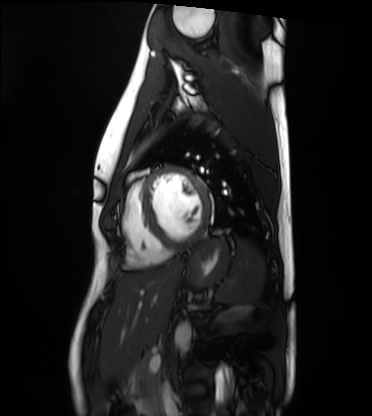
modality = cardiac MRI; subject group = healthy volunteer.